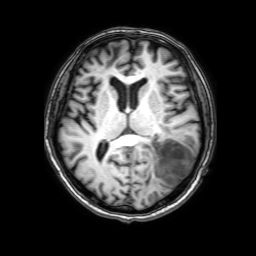
3 Tesla brain MRI. Series: 3D T1-weighted with SENSE. Study: ring-enhancing brain masses.